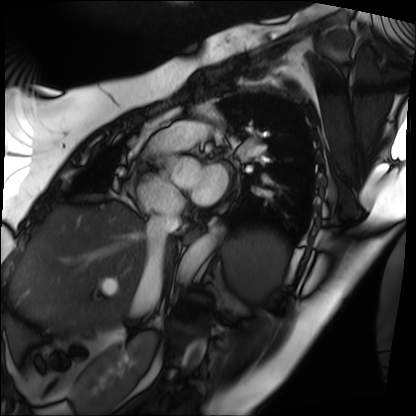
* modality — cardiac MRI
* subject group — patient